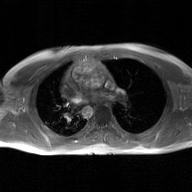
Case summary:
2D phase-contrast cine MRI of the ascending aorta, GAN super-resolution reconstruction.